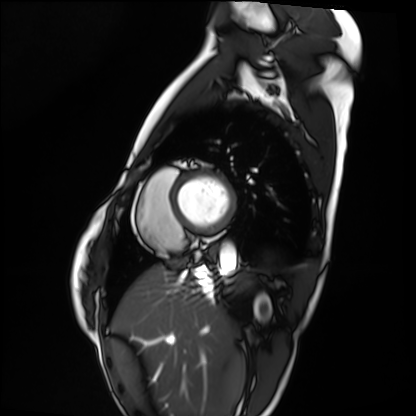
Cardiac MRI.
Subject group: healthy volunteer.